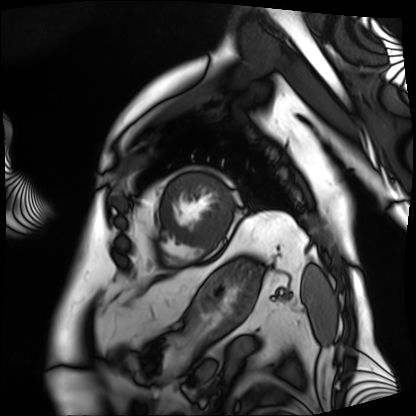
Summary: Cardiac MRI. Subject group: patient.